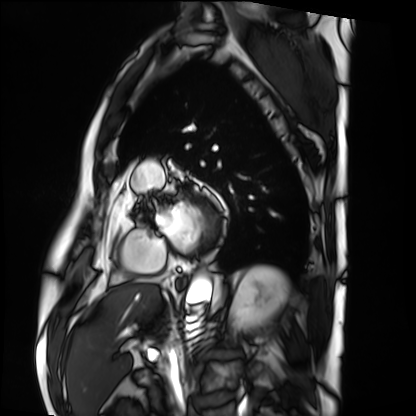
modality = cardiac MRI, subject group = patient.